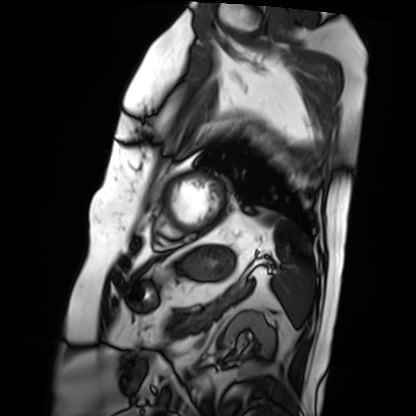
Cardiac MRI.
Subject group: patient.